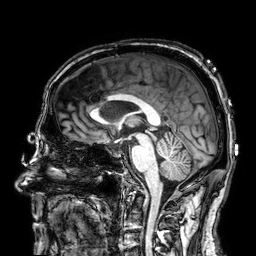
modality = 3 Tesla brain MRI | series = 3D T1-weighted | study = ring-enhancing brain masses.